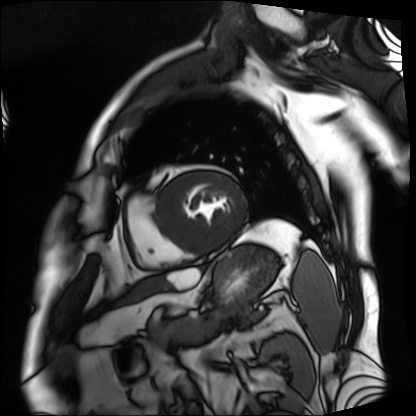
Summary:
Cardiac MRI. Subject group: patient.